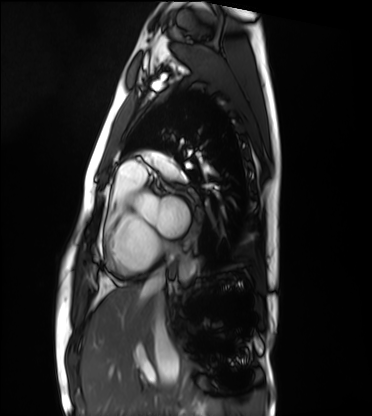
modality: cardiac MRI, subject group: healthy volunteer.